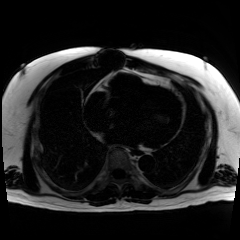
modality: chemical-shift-encoded cardiac MRI